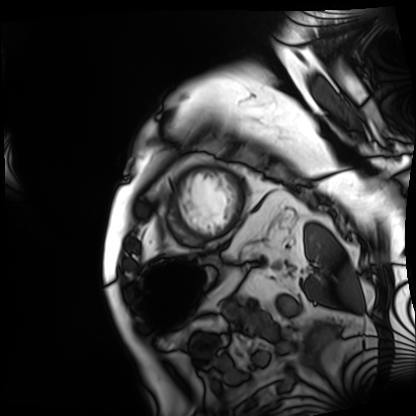
Cardiac MRI.
Subject group: patient.